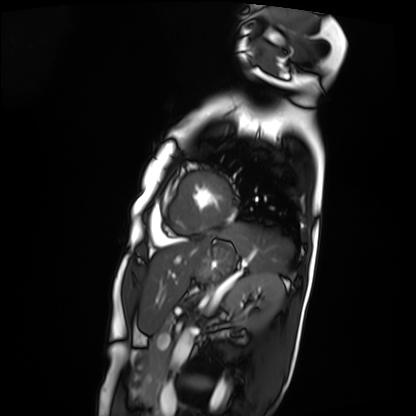
modality — cardiac MRI | subject group — patient.